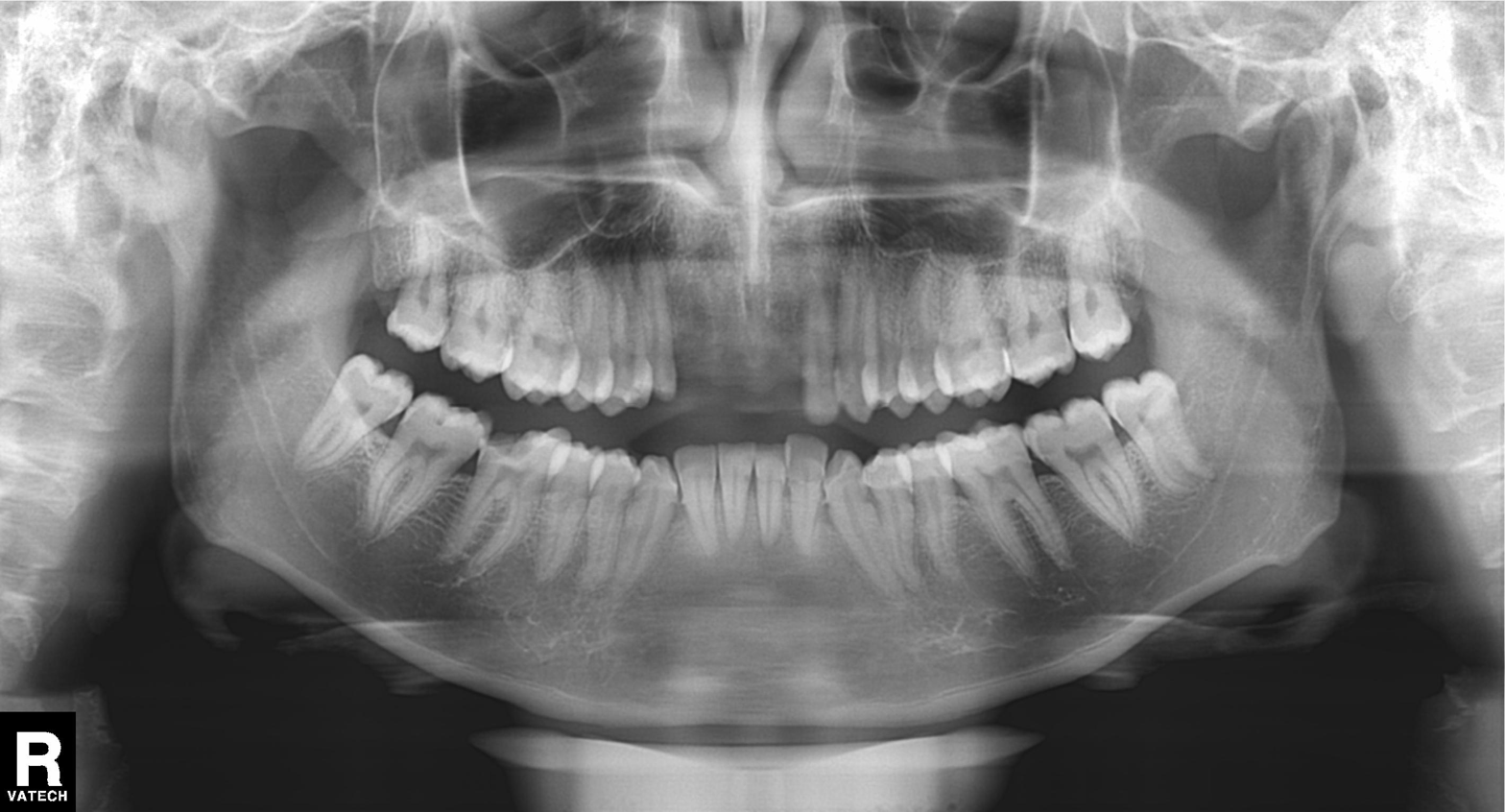
Clinical context:
Panoramic dental radiograph (orthopantomogram).
Conclusion:
Dental caries (cavities).